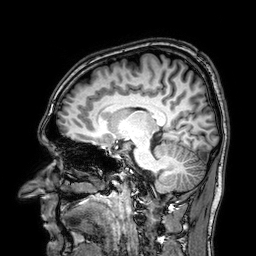
3 Tesla brain MRI. Series: 3D T1-weighted. Study: ring-enhancing brain masses.